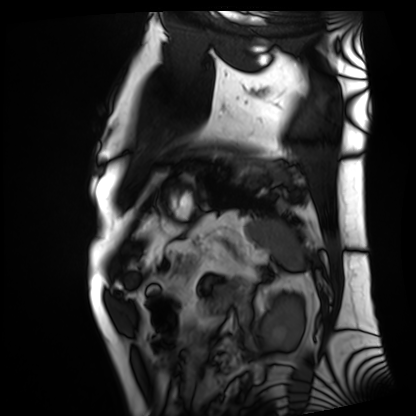
modality: cardiac MRI | subject group: patient.